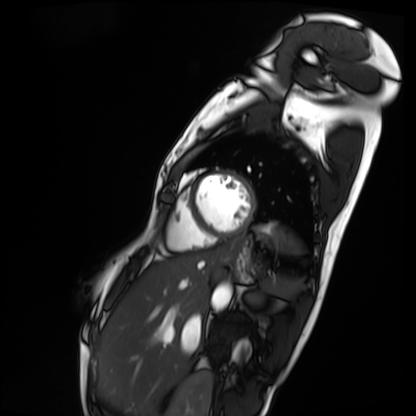
Cardiac MRI. Subject group: patient.